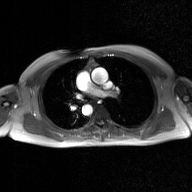
2D phase-contrast cine MRI of the ascending aorta, GAN super-resolution reconstruction.